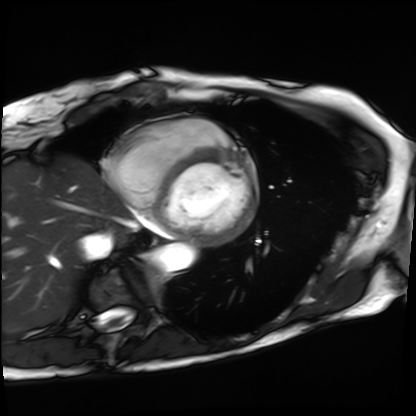
Q: What kind of scan is this?
A: Cardiac MRI.
Subject group: patient.